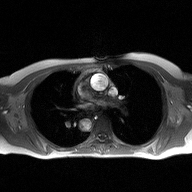
2D phase-contrast cine MRI of the ascending aorta, high-resolution GRAPPA acquisition.